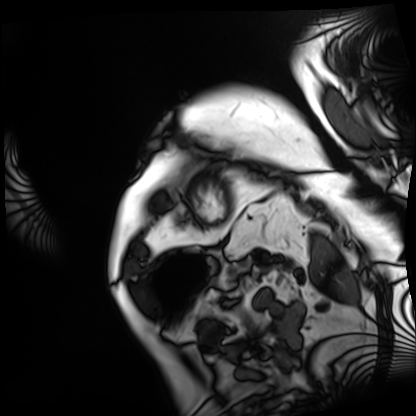
Case summary:
Cardiac MRI. Subject group: patient.